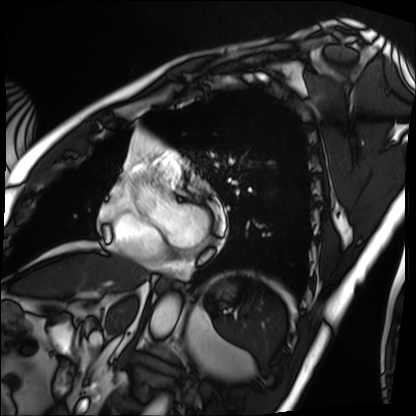
Summary:
Cardiac MRI. Subject group: patient.